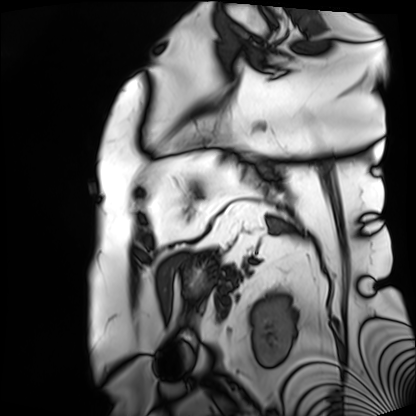
Cardiac MRI. Subject group: patient.